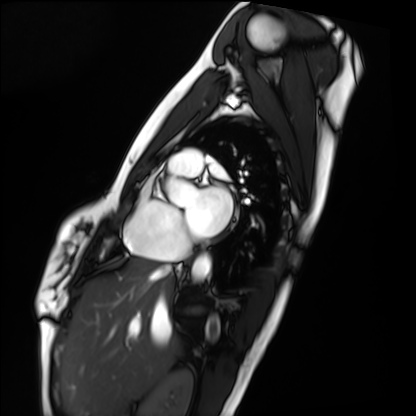
Cardiac MRI. Subject group: healthy volunteer.